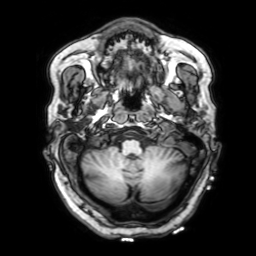
{"modality": {"type": "brain MRI", "field_strength": "3T"}, "series": "3D T1-weighted with SENSE", "study_topic": "ring-enhancing brain masses"}